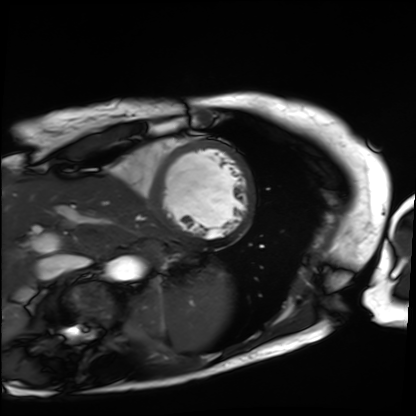
<study>
<modality>cardiac MRI</modality>
<cohort>patient</cohort>
</study>